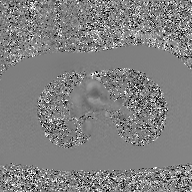
modality = 2D phase-contrast cine MRI of the ascending aorta, GAN super-resolution reconstruction